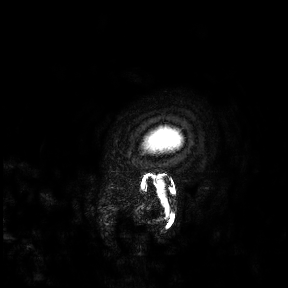
modality: 3 Tesla brain MRI; study: ring-enhancing brain masses.